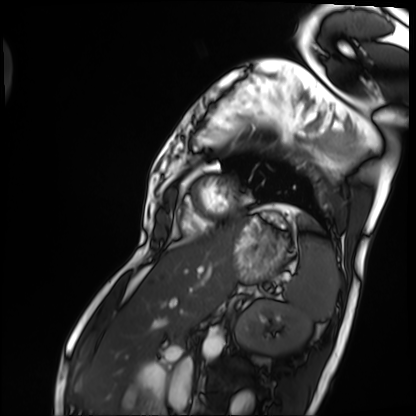
Clinical context:
Cardiac MRI. Subject group: patient.